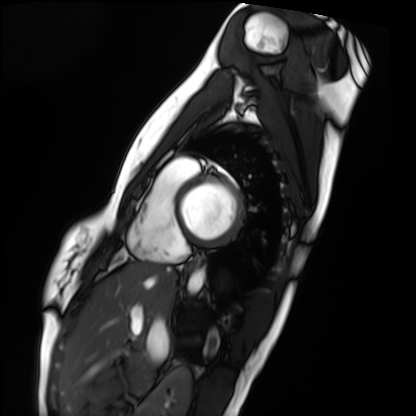
Summary: Cardiac MRI. Subject group: healthy volunteer.